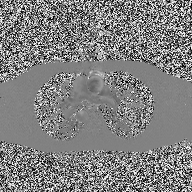
modality = 2D phase-contrast cine MRI of the ascending aorta